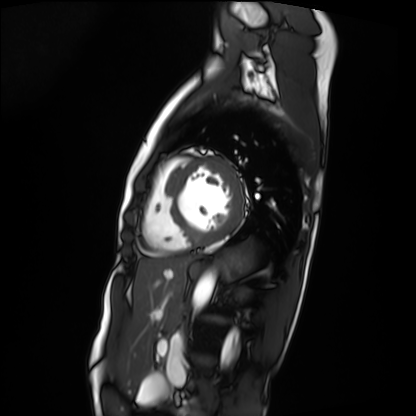
Q: What kind of scan is this?
A: Cardiac MRI.
Subject group: patient.